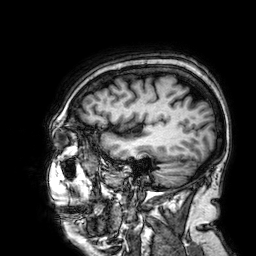
3 Tesla brain MRI. Series: 3D T1-weighted. Study: ring-enhancing brain masses.